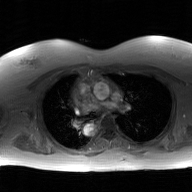
Q: What kind of scan is this?
A: 2D phase-contrast cine MRI of the ascending aorta, GAN super-resolution reconstruction.